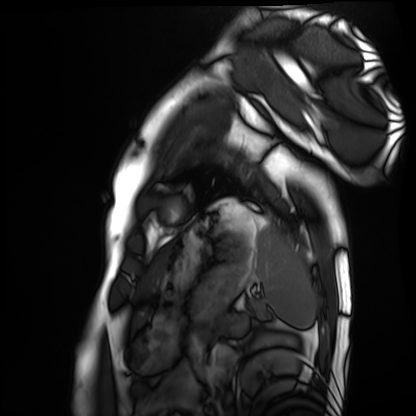
– modality — cardiac MRI
– subject group — healthy volunteer